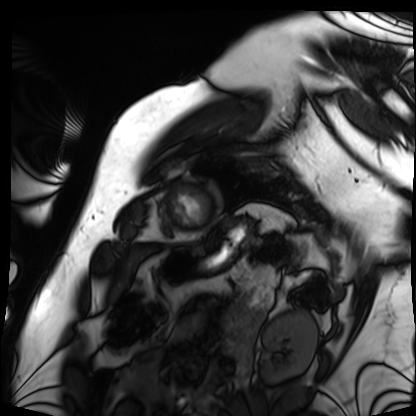
modality=cardiac MRI; subject group=patient.